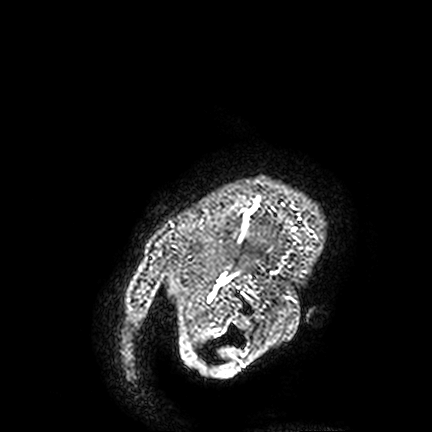
Summary: 3 Tesla brain MRI. Series: FLAIR VISTA. Study: ring-enhancing brain masses.